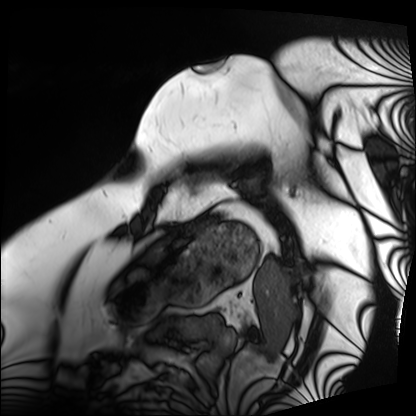
Case summary: Cardiac MRI. Subject group: patient.